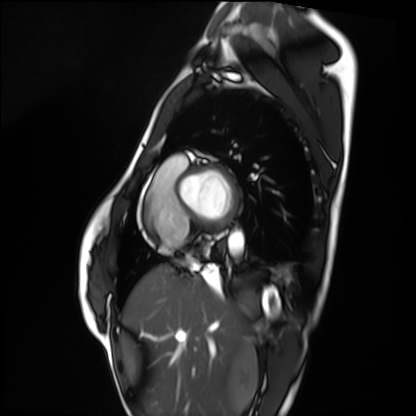
Cardiac MRI. Subject group: healthy volunteer.